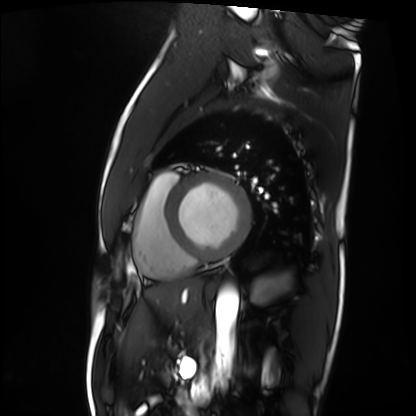
Cardiac MRI.
Subject group: patient.